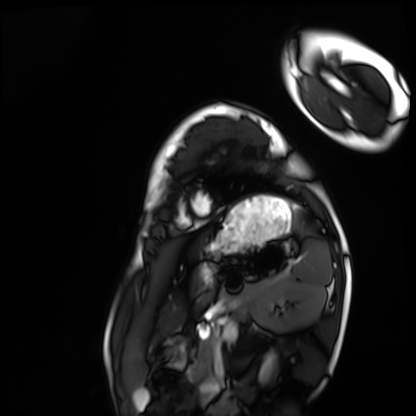
modality = cardiac MRI; subject group = healthy volunteer.